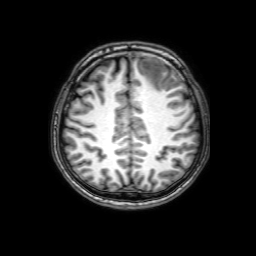
Clinical context:
3 Tesla brain MRI. Series: 3D T1-weighted with SENSE. Study: ring-enhancing brain masses.